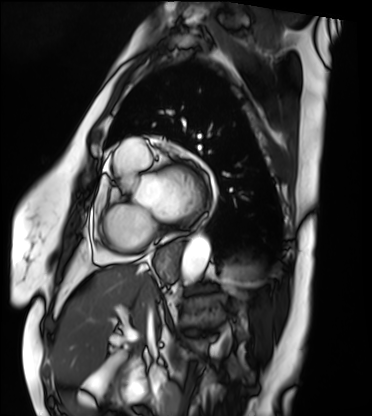
Cardiac MRI. Subject group: patient.